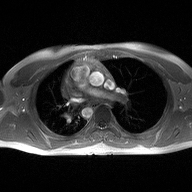
Q: What kind of scan is this?
A: 2D phase-contrast cine MRI of the ascending aorta.